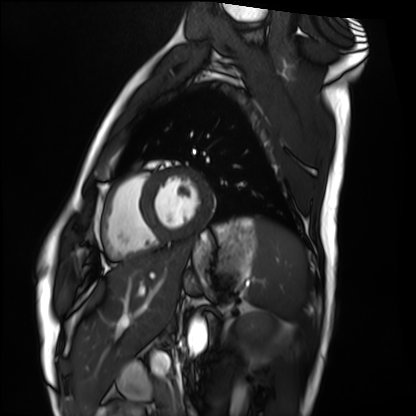
Cardiac MRI. Subject group: healthy volunteer.